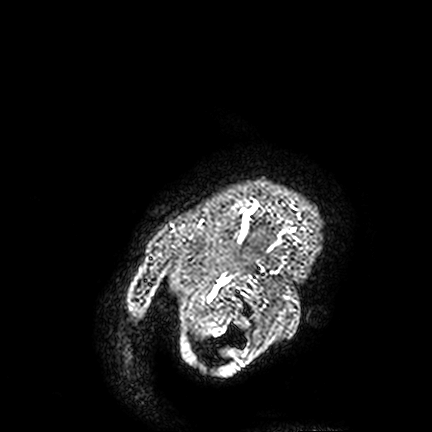
3 Tesla brain MRI. Study: ring-enhancing brain masses.